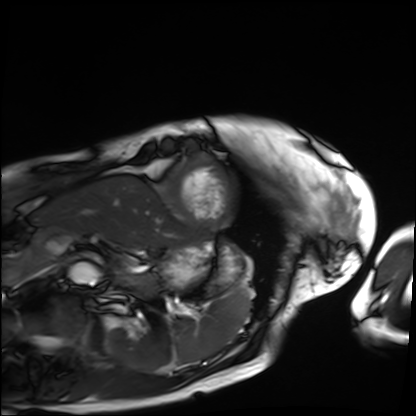
modality=cardiac MRI; subject group=patient.